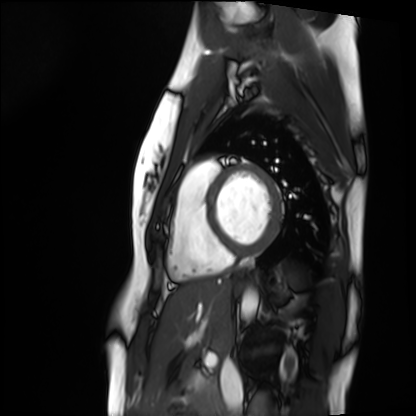
Summary: Cardiac MRI. Subject group: healthy volunteer.